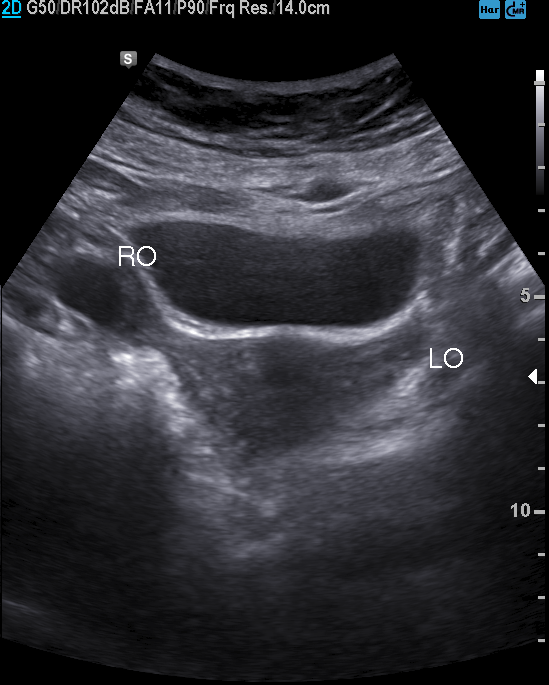
{
  "modality": {
    "type": "genitourinary ultrasound"
  }
}